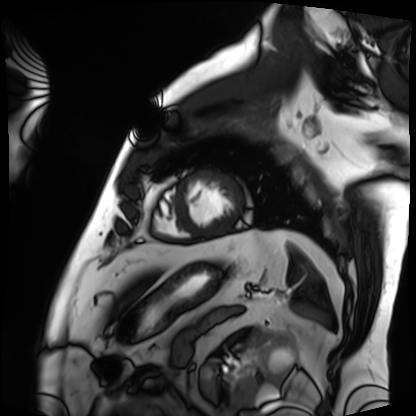
{
  "modality": "cardiac MRI",
  "cohort": "patient"
}